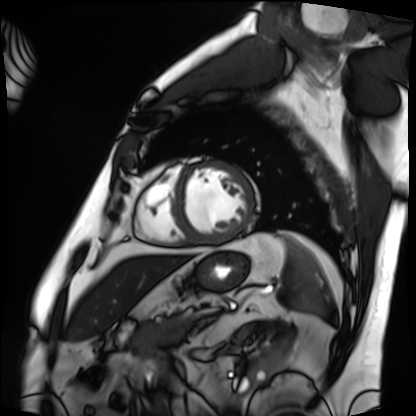
Cardiac MRI. Subject group: patient.